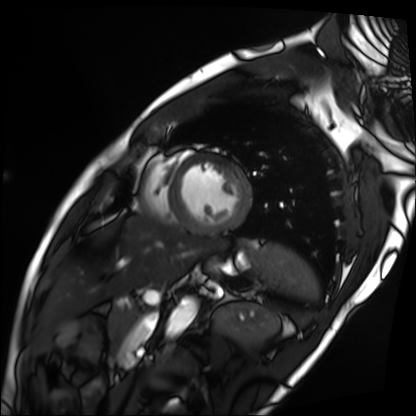
Cardiac MRI.
Subject group: patient.